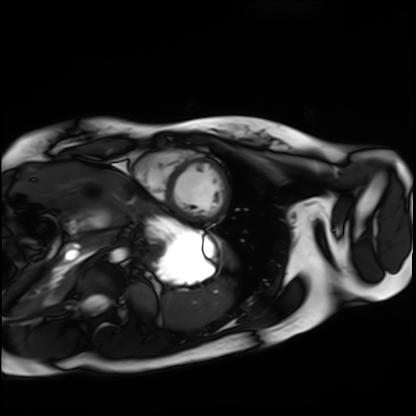
Summary:
Cardiac MRI. Subject group: healthy volunteer.